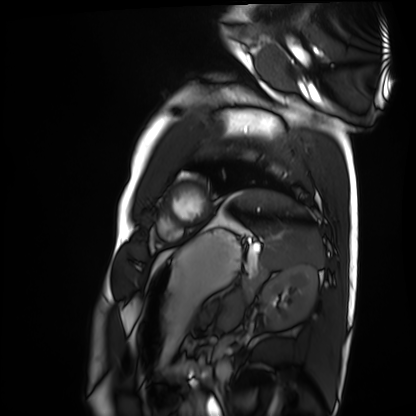
| field | value |
|---|---|
| modality | cardiac MRI |
| subject group | healthy volunteer |